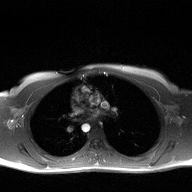
- modality — 2D phase-contrast cine MRI of the ascending aorta